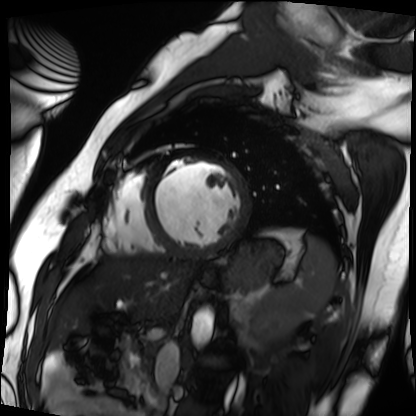
Case summary: Cardiac MRI. Subject group: patient.